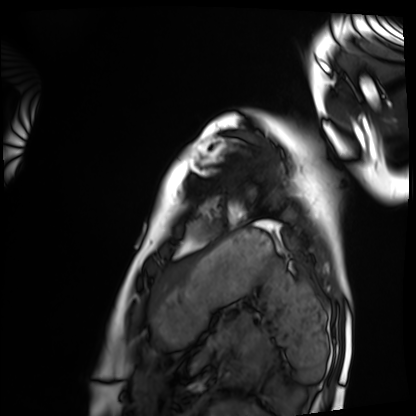
Cardiac MRI.
Subject group: healthy volunteer.